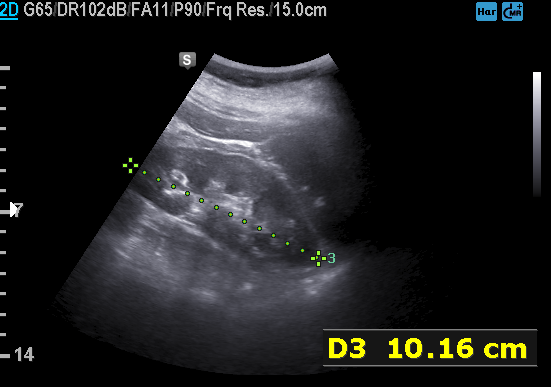
Summary:
Genitourinary ultrasound.